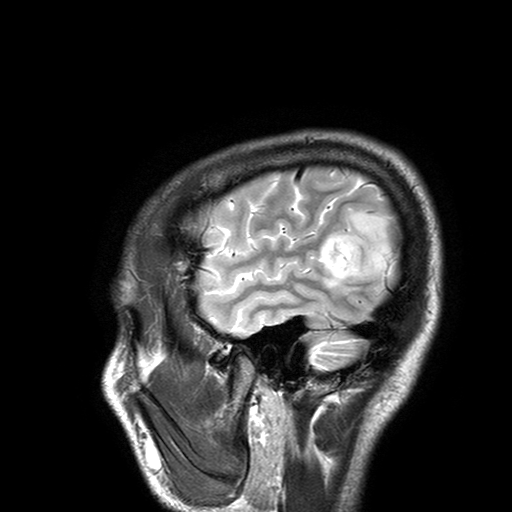
3 Tesla brain MRI. Series: T2-weighted turbo spin echo with SENSE. Study: ring-enhancing brain masses.